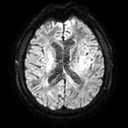
{
  "modality": {
    "type": "brain MRI",
    "field_strength": "3T"
  },
  "series": "diffusion tensor imaging (medium iso)",
  "study_topic": "ring-enhancing brain masses"
}